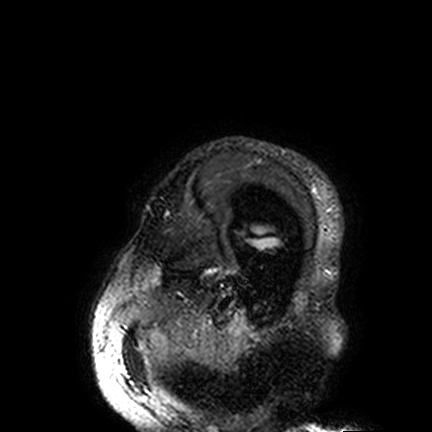
Summary: 3 Tesla brain MRI. Series: FLAIR VISTA. Study: ring-enhancing brain masses.